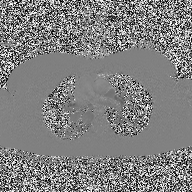
Summary:
2D phase-contrast cine MRI of the ascending aorta, high-resolution GRAPPA acquisition.